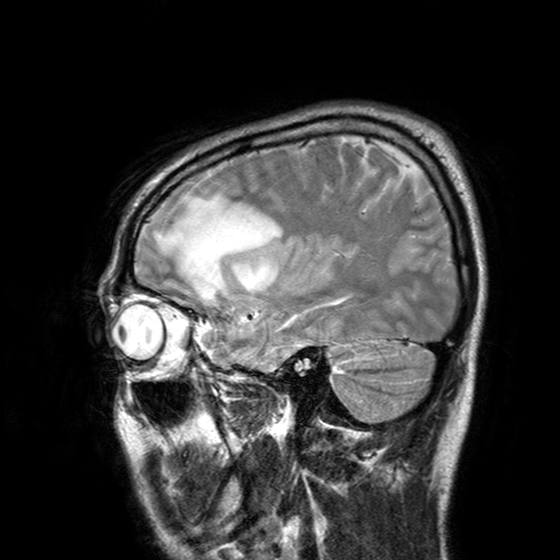
Summary: 3 Tesla brain MRI. Series: T2-weighted turbo spin echo with SENSE. Study: ring-enhancing brain masses.